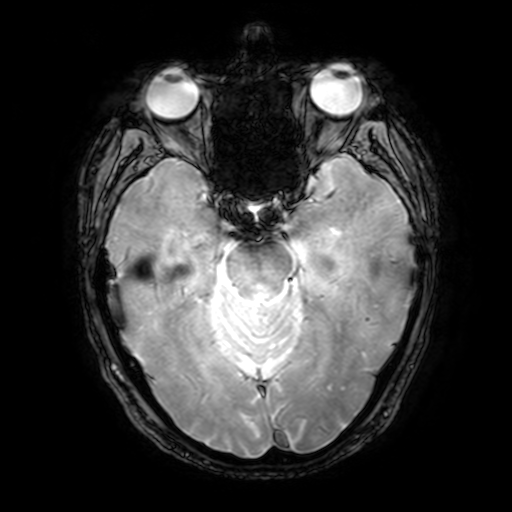
Clinical context: 3 Tesla brain MRI. Series: T2-weighted fast field echo with SENSE. Study: ring-enhancing brain masses.